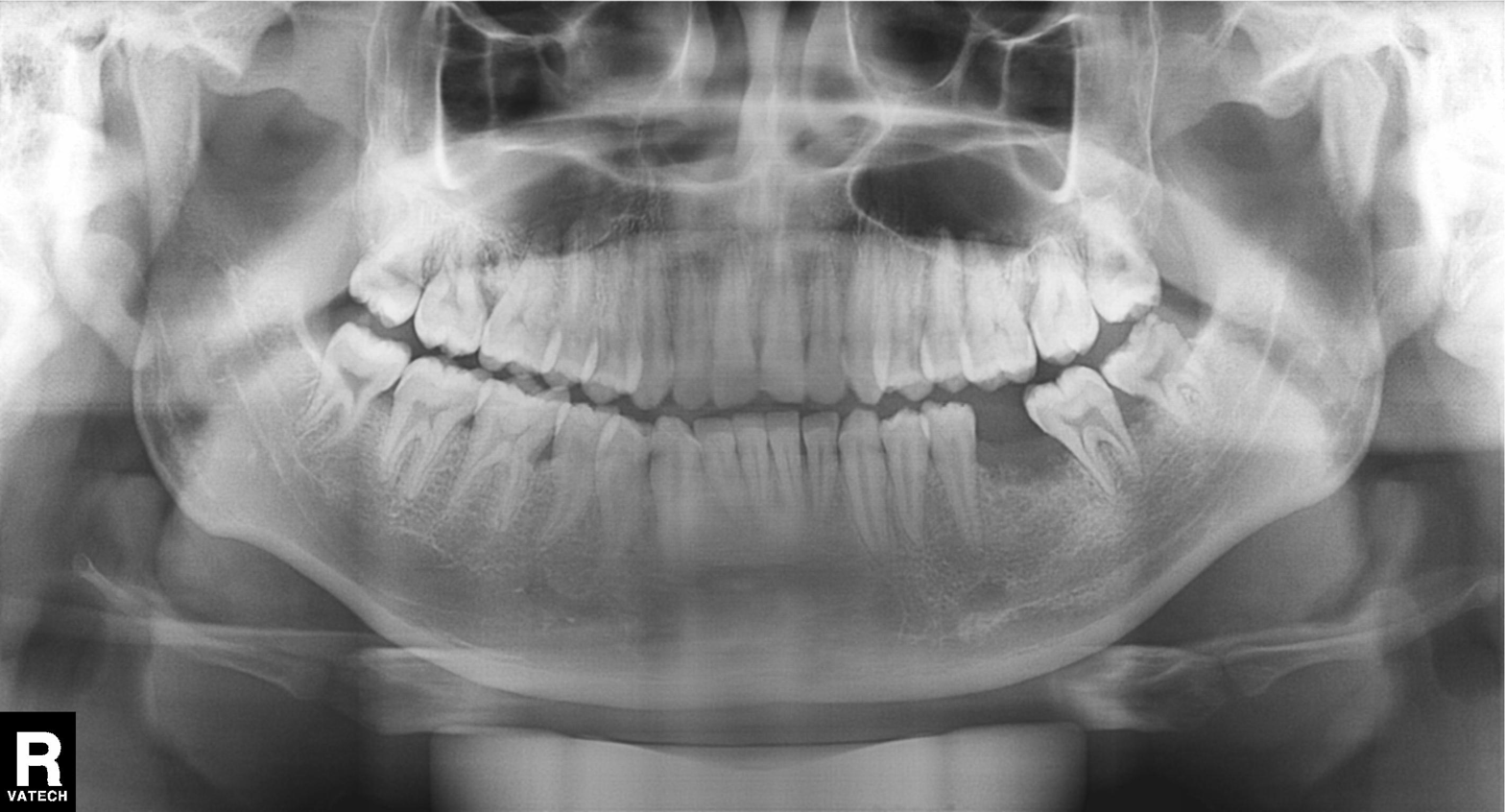
Panoramic dental radiograph (orthopantomogram). Finding: tooth impaction.